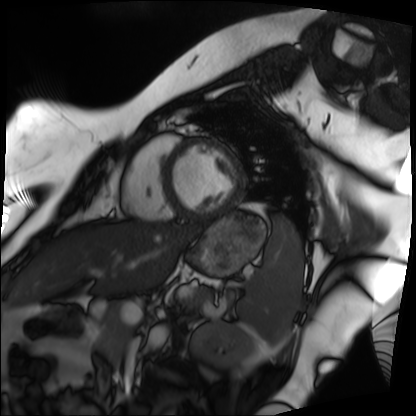
modality = cardiac MRI | subject group = patient.